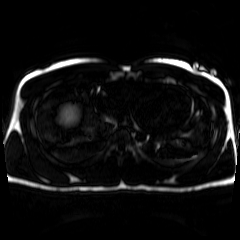
– modality: chemical-shift-encoded cardiac MRI